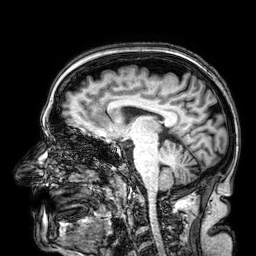
Q: What kind of scan is this?
A: 3 Tesla brain MRI.
Q: Series?
A: 3D T1-weighted.
Study: ring-enhancing brain masses.